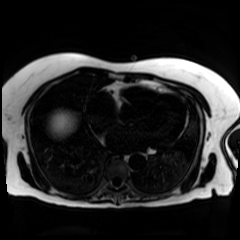
modality = chemical-shift-encoded cardiac MRI.